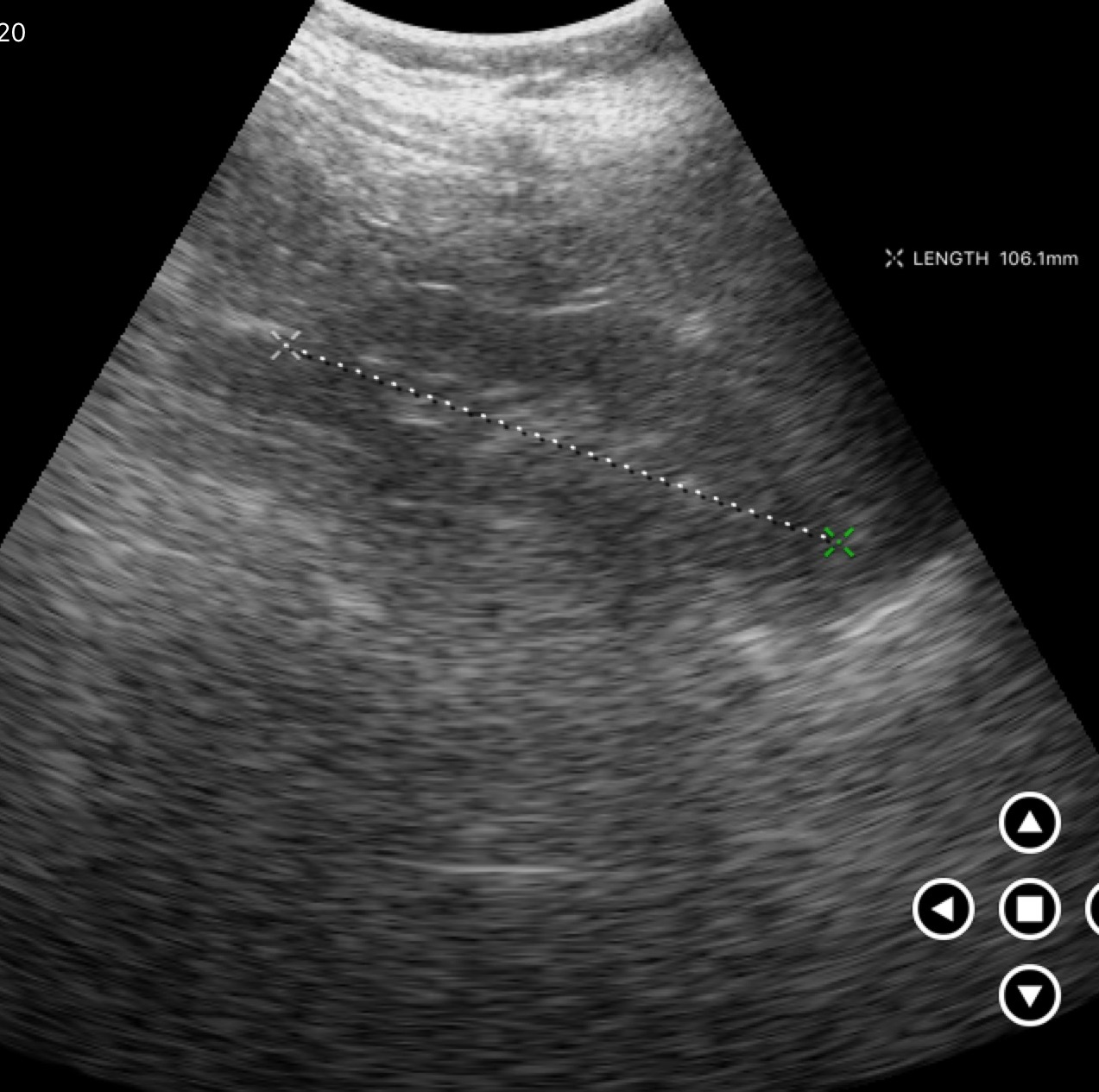
Genitourinary ultrasound.